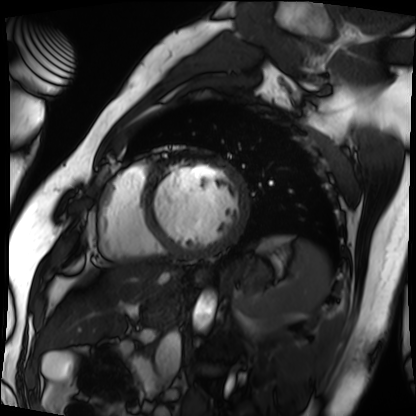
| field | value |
|---|---|
| modality | cardiac MRI |
| subject group | patient |